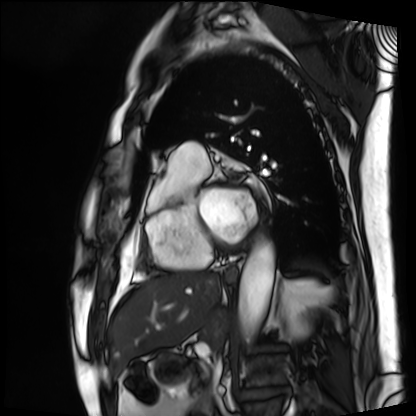
Q: What kind of scan is this?
A: Cardiac MRI.
Subject group: patient.